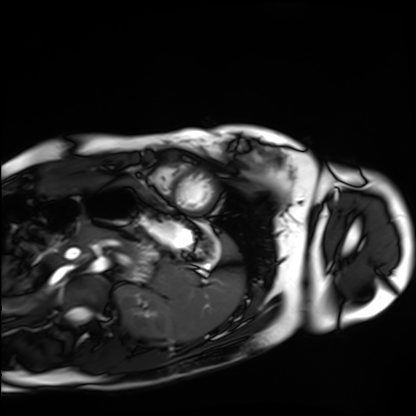
<scan>
<modality>cardiac MRI</modality>
<cohort>healthy volunteer</cohort>
</scan>